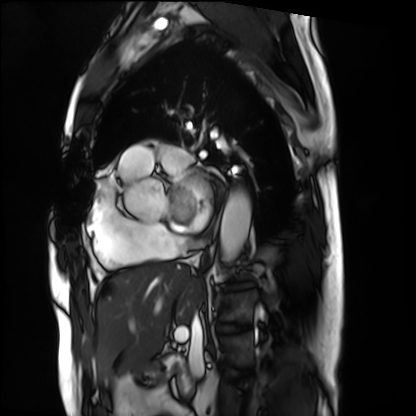
modality: cardiac MRI
cohort: patient